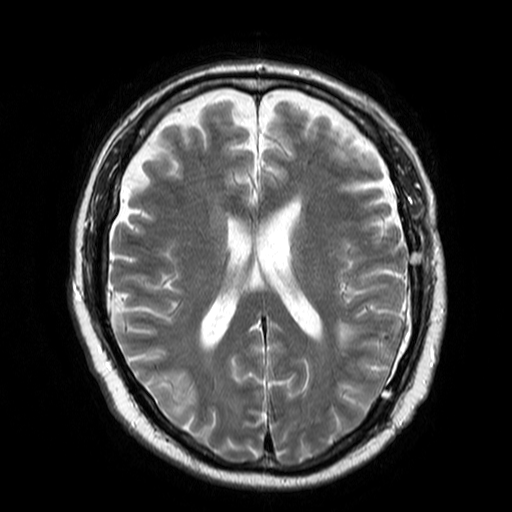
{"modality": {"type": "brain MRI", "field_strength": "3T"}, "series": "T2-weighted turbo spin echo", "study_topic": "ring-enhancing brain masses"}